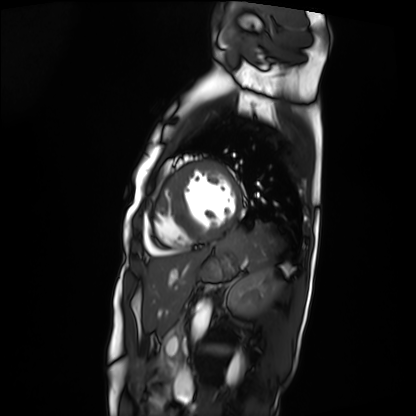
Cardiac MRI.
Subject group: patient.